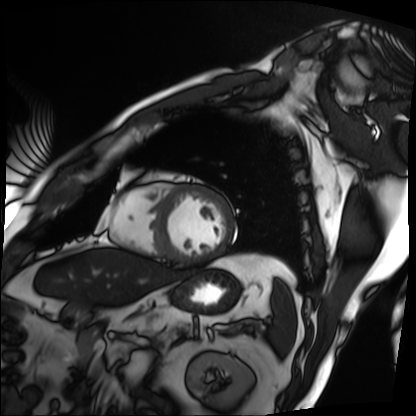
Cardiac MRI. Subject group: patient.